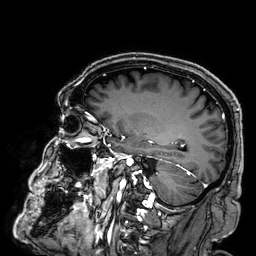
Summary: 3 Tesla brain MRI. Series: 3D T1-weighted. Study: ring-enhancing brain masses.